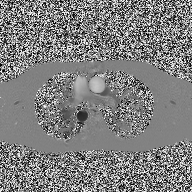
2D phase-contrast cine MRI of the ascending aorta, high-resolution GRAPPA acquisition.